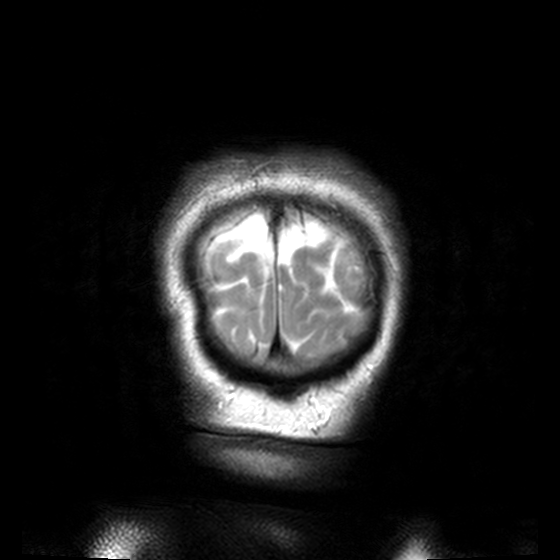
3 Tesla brain MRI. Study: ring-enhancing brain masses.